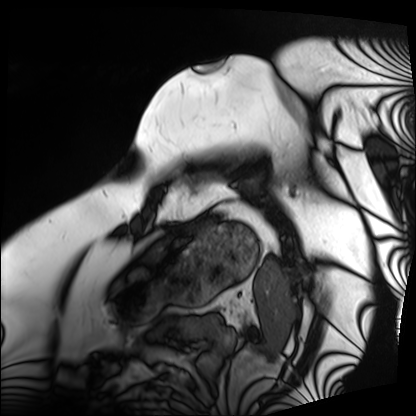
modality=cardiac MRI
subject group=patient